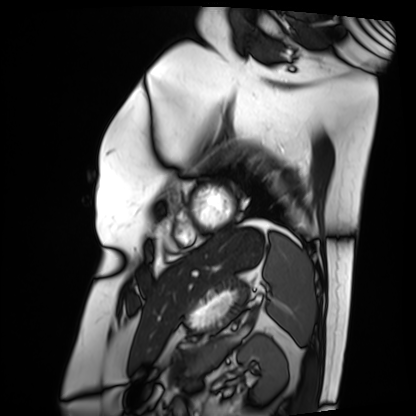
{
  "modality": "cardiac MRI",
  "cohort": "patient"
}